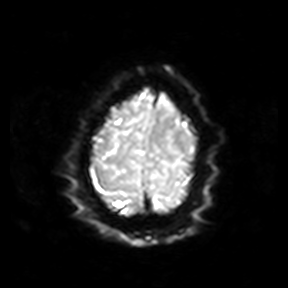
modality — 3 Tesla brain MRI; series — diffusion-weighted imaging; study — ring-enhancing brain masses.